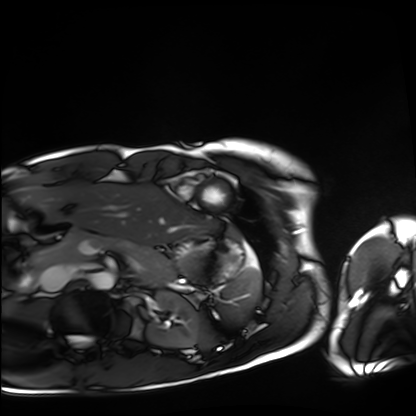
{"modality": "cardiac MRI", "cohort": "healthy volunteer"}